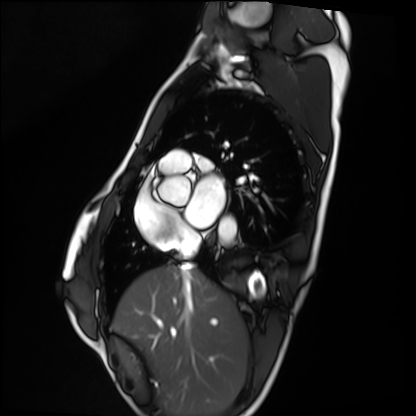
– modality · cardiac MRI
– subject group · healthy volunteer